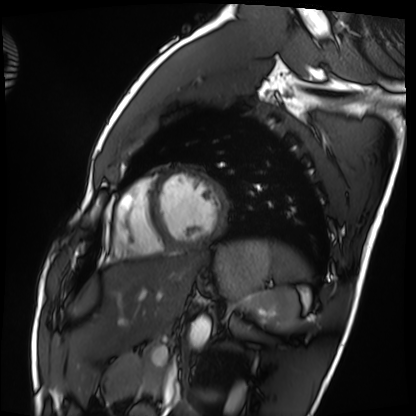
modality = cardiac MRI, subject group = healthy volunteer.